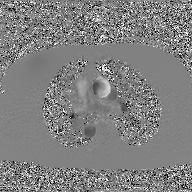
Case:
– modality — 2D phase-contrast cine MRI of the ascending aorta, GAN super-resolution reconstruction